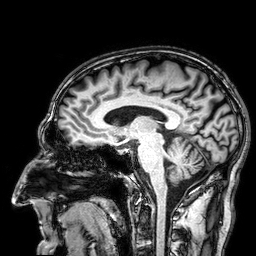
Case summary:
3 Tesla brain MRI. Series: 3D T1-weighted. Study: ring-enhancing brain masses.